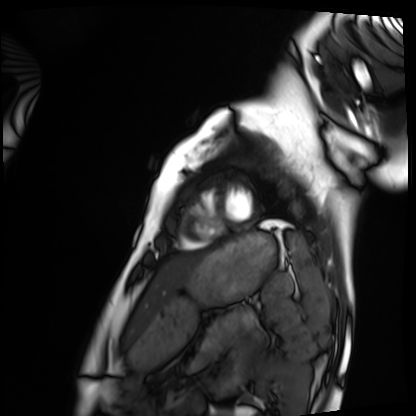
  modality: cardiac MRI
  cohort: healthy volunteer